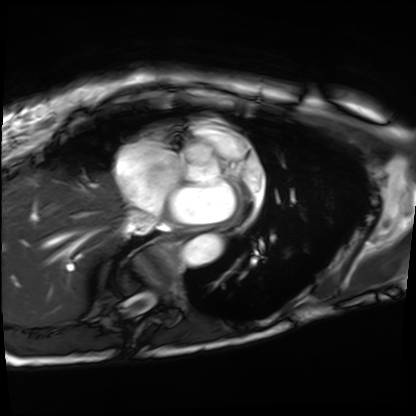
Cardiac MRI.
Subject group: patient.